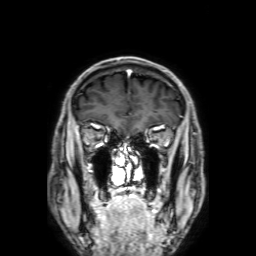
3 Tesla brain MRI.
Series: 3D T1-weighted with SENSE.
Study: ring-enhancing brain masses.